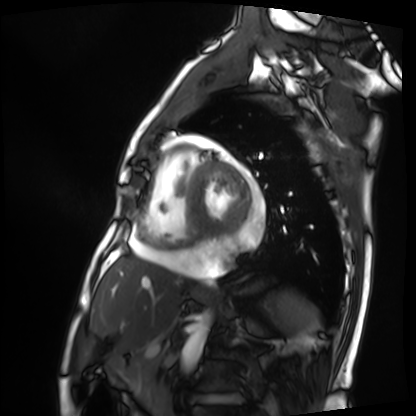
Clinical context:
Cardiac MRI. Subject group: patient.